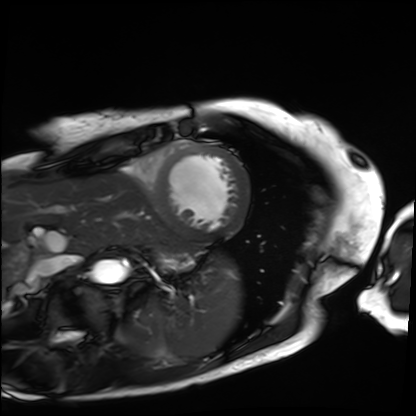
Summary:
Cardiac MRI. Subject group: patient.